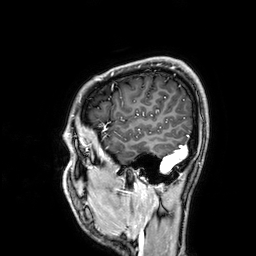
– modality · 3 Tesla brain MRI
– series · 3D T1-weighted
– study · ring-enhancing brain masses